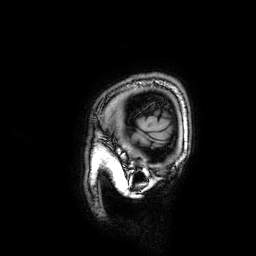
– modality — 3 Tesla brain MRI
– series — 3D T1-weighted
– study — ring-enhancing brain masses